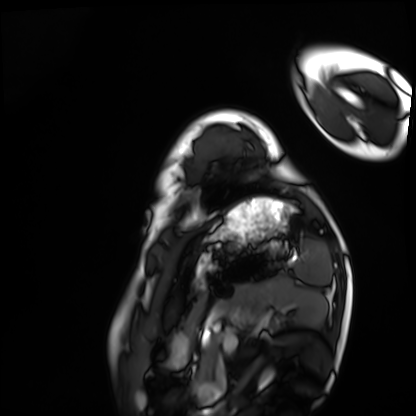
Q: What kind of scan is this?
A: Cardiac MRI.
Subject group: healthy volunteer.